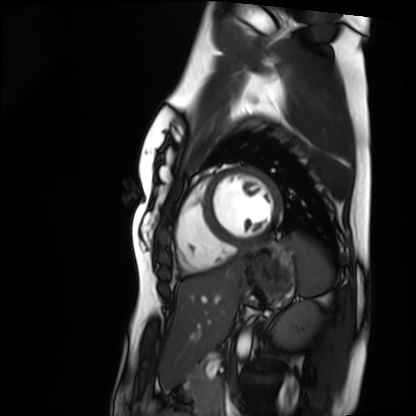
Cardiac MRI. Subject group: healthy volunteer.